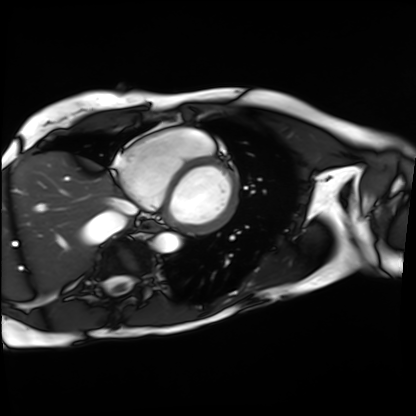
modality: cardiac MRI
subject group: patient